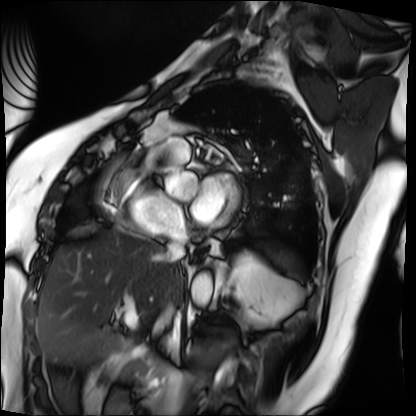
<scan>
<modality>cardiac MRI</modality>
<cohort>patient</cohort>
</scan>